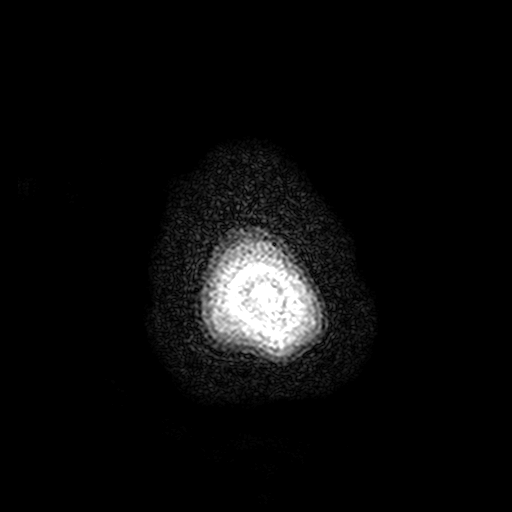
3 Tesla brain MRI. Series: FLAIR with SPAIR, 3 mm. Study: ring-enhancing brain masses.